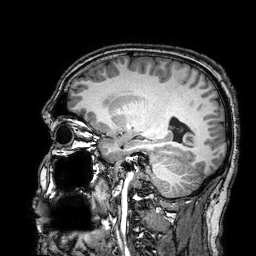
3 Tesla brain MRI. Series: 3D T1-weighted turbo field echo with SENSE. Study: ring-enhancing brain masses.